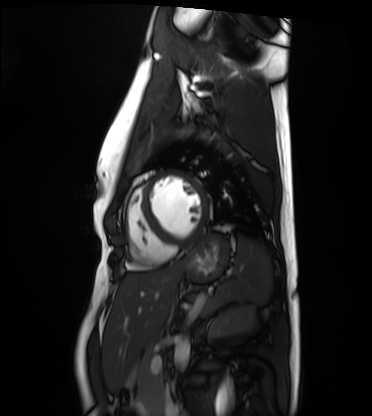
Case summary: Cardiac MRI. Subject group: healthy volunteer.